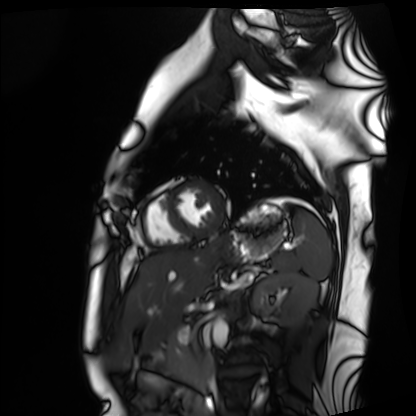
<case>
<modality>cardiac MRI</modality>
<cohort>healthy volunteer</cohort>
</case>